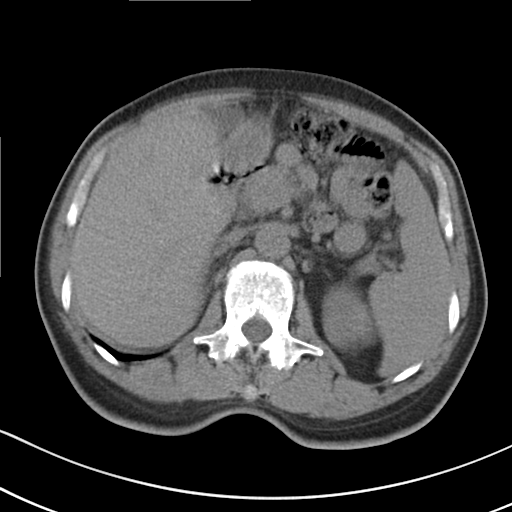
{"modality": {"type": "multiphase abdominal CT", "region": "liver", "phase": "non-contrast"}, "patient": {"sex": "male", "age": 56}, "history": ["cirrhosis", "viral hepatitis"]}